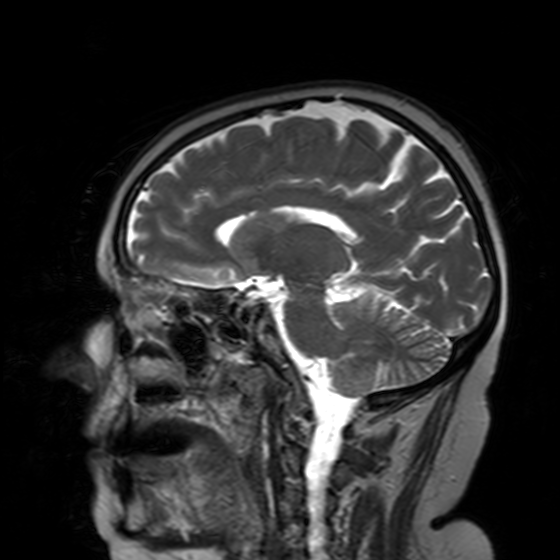
Q: What kind of scan is this?
A: 3 Tesla brain MRI.
Q: Series?
A: T2-weighted turbo spin echo with SENSE.
Study: ring-enhancing brain masses.